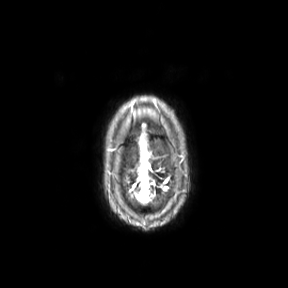
Case:
• modality — 3 Tesla brain MRI
• series — axial
• study — ring-enhancing brain masses